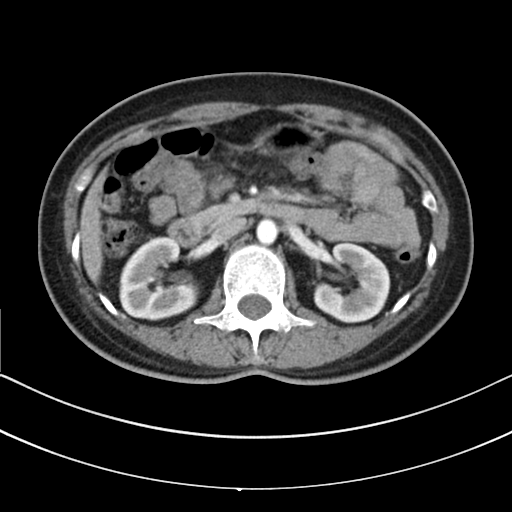
Case:
* modality · multiphase abdominal CT, liver, arterial phase
* patient · female, age 49
* history · prior chemotherapy